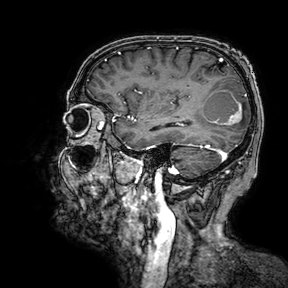
| field | value |
|---|---|
| modality | 3 Tesla brain MRI |
| series | 3D T1-weighted turbo field echo with SENSE |
| study | ring-enhancing brain masses |